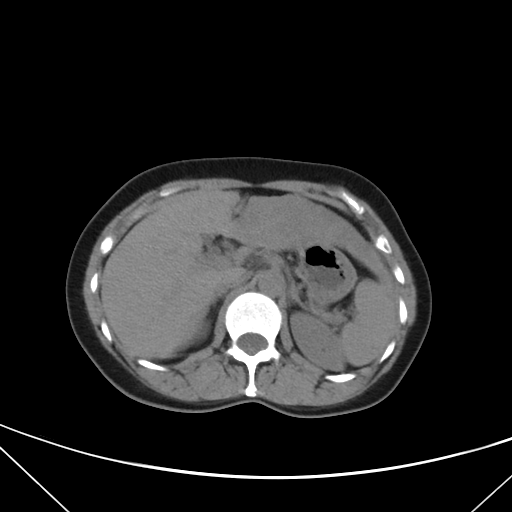
{
  "modality": {
    "type": "multiphase abdominal CT",
    "region": "liver",
    "phase": "non-contrast"
  },
  "patient": {
    "sex": "female",
    "age": 42
  },
  "history": [
    "prior chemotherapy"
  ]
}